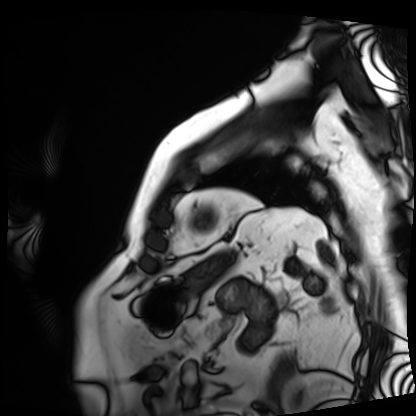
modality: cardiac MRI | subject group: patient.